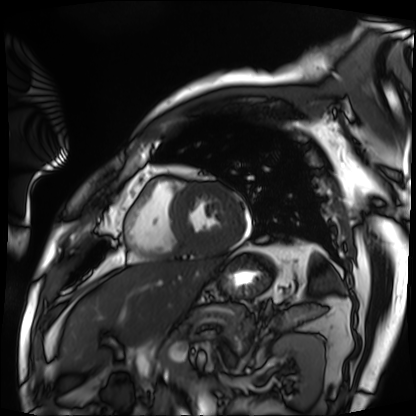
Clinical context: Cardiac MRI. Subject group: patient.